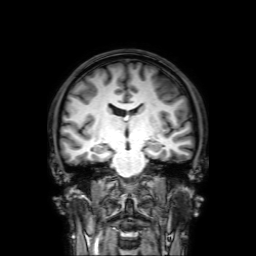
3 Tesla brain MRI.
Series: 3D T1-weighted with SENSE.
Study: ring-enhancing brain masses.